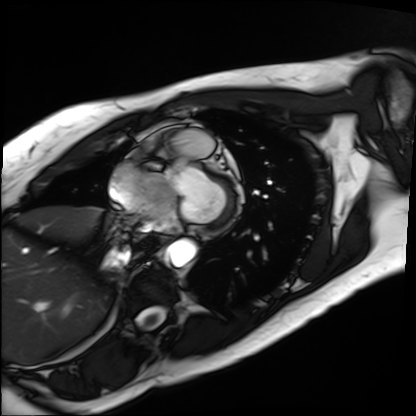
| field | value |
|---|---|
| modality | cardiac MRI |
| subject group | patient |